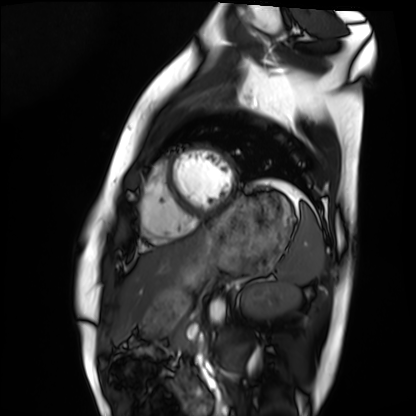
Case:
– modality: cardiac MRI
– subject group: healthy volunteer